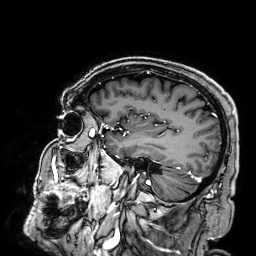
3 Tesla brain MRI. Series: 3D T1-weighted. Study: ring-enhancing brain masses.